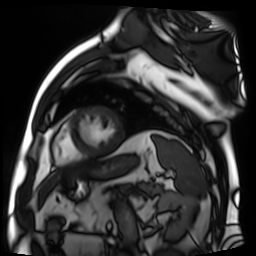
• modality — cardiac MR image of the myocardium
• subject cohort — cardiac patient